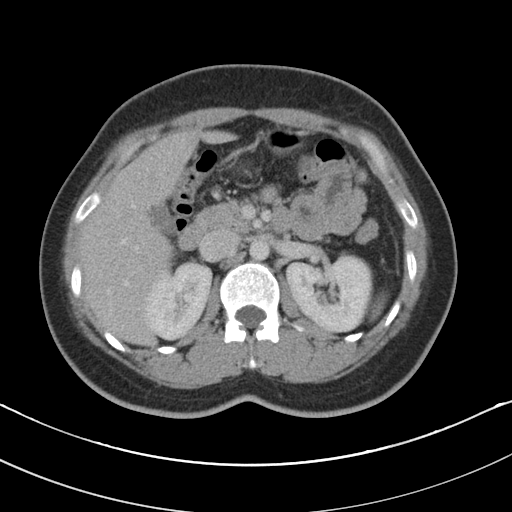
modality = multiphase abdominal CT, liver, portal venous phase
patient = female, age 31
history = prior chemotherapy